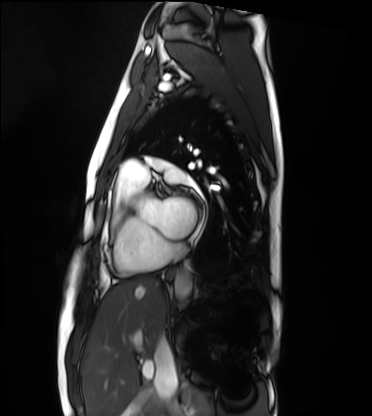
Case summary:
Cardiac MRI. Subject group: healthy volunteer.